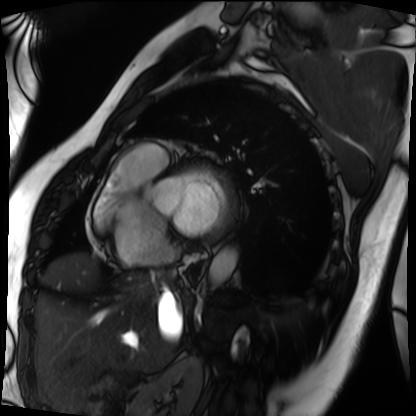
| field | value |
|---|---|
| modality | cardiac MRI |
| subject group | patient |